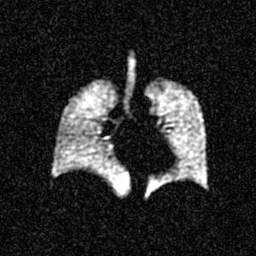
Hyperpolarized 129Xe ventilation MRI of the lungs. SNR level 4 of 8 (the deposit holds this scan as its native image and as seven SNR-degraded versions).